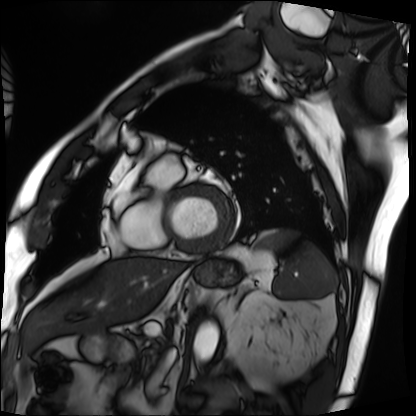
- modality — cardiac MRI
- subject group — patient